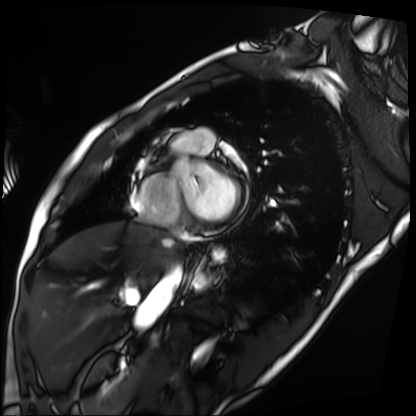
Q: What kind of scan is this?
A: Cardiac MRI.
Subject group: patient.